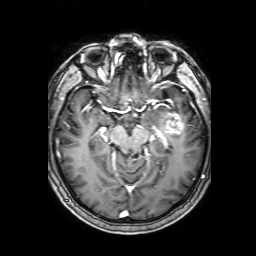
Case:
• modality · 3 Tesla brain MRI
• series · 3D T1-weighted with SENSE
• study · ring-enhancing brain masses